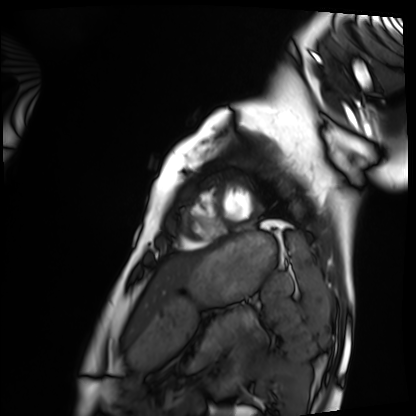
- modality — cardiac MRI
- subject group — healthy volunteer